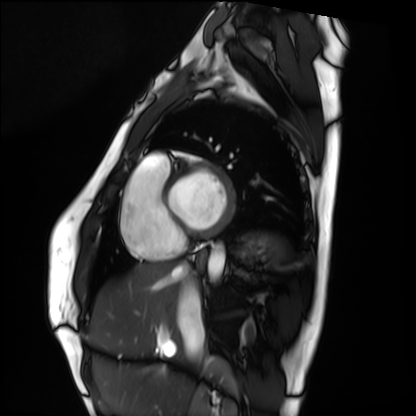
Cardiac MRI.
Subject group: healthy volunteer.